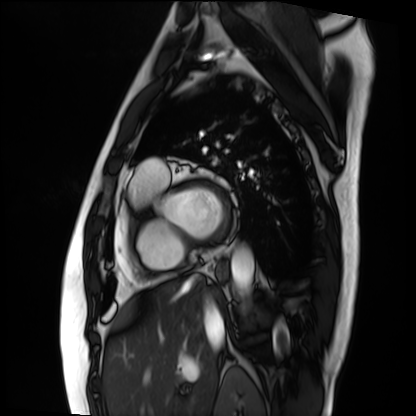
Cardiac MRI. Subject group: patient.